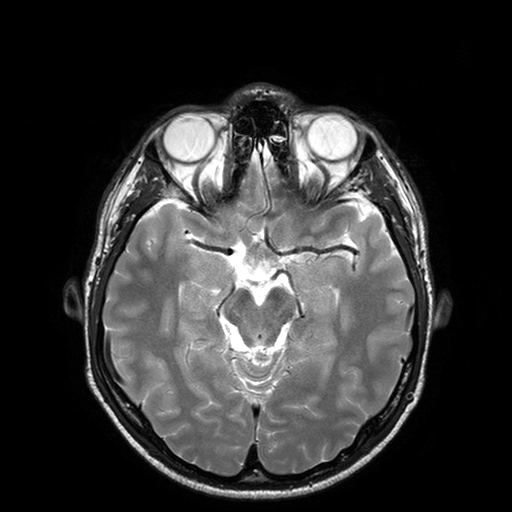
{"modality": {"type": "brain MRI", "field_strength": "3T"}, "series": "T2-weighted turbo spin echo with SENSE", "study_topic": "ring-enhancing brain masses"}